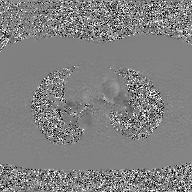
<study>
<modality>
  <type>2D phase-contrast cine MRI</type>
  <region>ascending aorta</region>
  <reconstruction>GAN super-resolution reconstruction</reconstruction>
</modality>
</study>